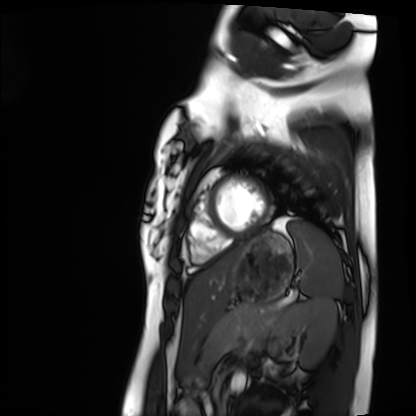
Clinical context:
Cardiac MRI. Subject group: healthy volunteer.